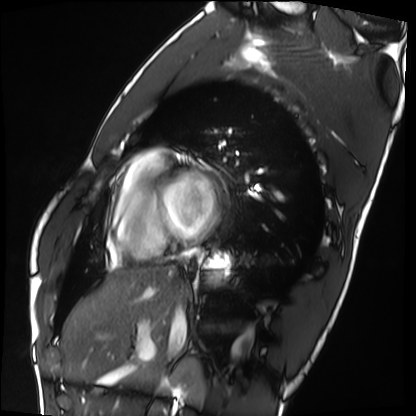
modality = cardiac MRI; subject group = healthy volunteer.